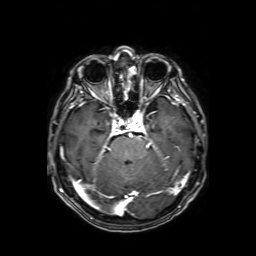
3 Tesla brain MRI. Series: axial T1-weighted fusion image. Study: ring-enhancing brain masses.